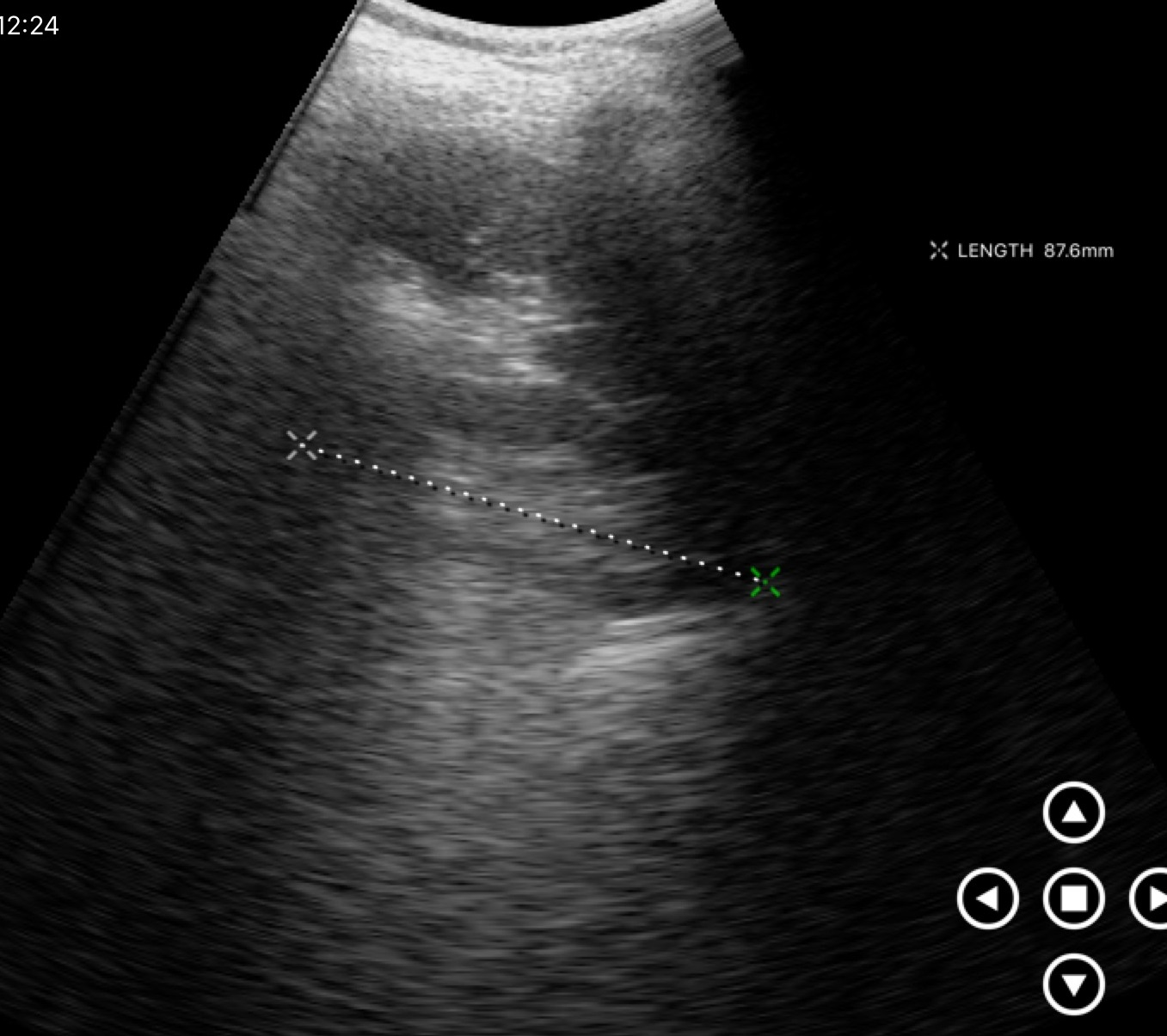
Genitourinary ultrasound.